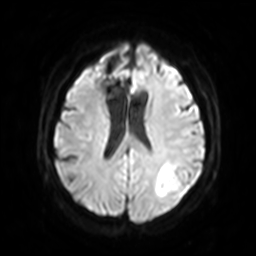
3 Tesla brain MRI. Series: diffusion-weighted imaging with SENSE (WIP). Study: ring-enhancing brain masses.